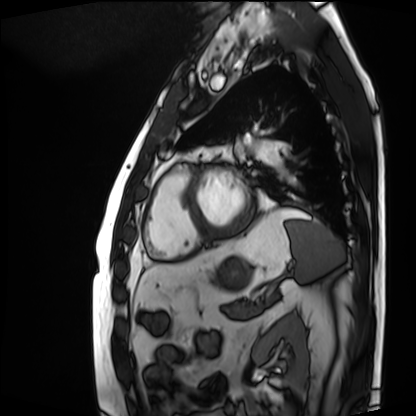
Q: What kind of scan is this?
A: Cardiac MRI.
Subject group: patient.